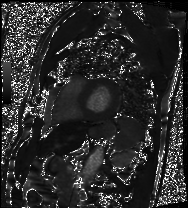
Cardiac MRI. Subject group: patient.